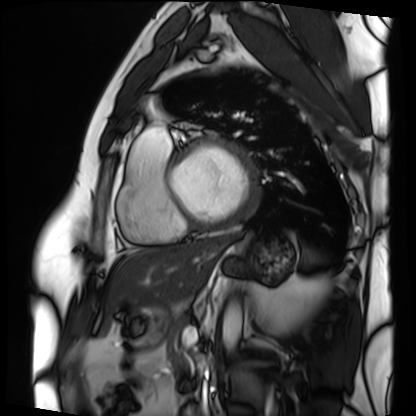
{
  "modality": "cardiac MRI",
  "cohort": "patient"
}